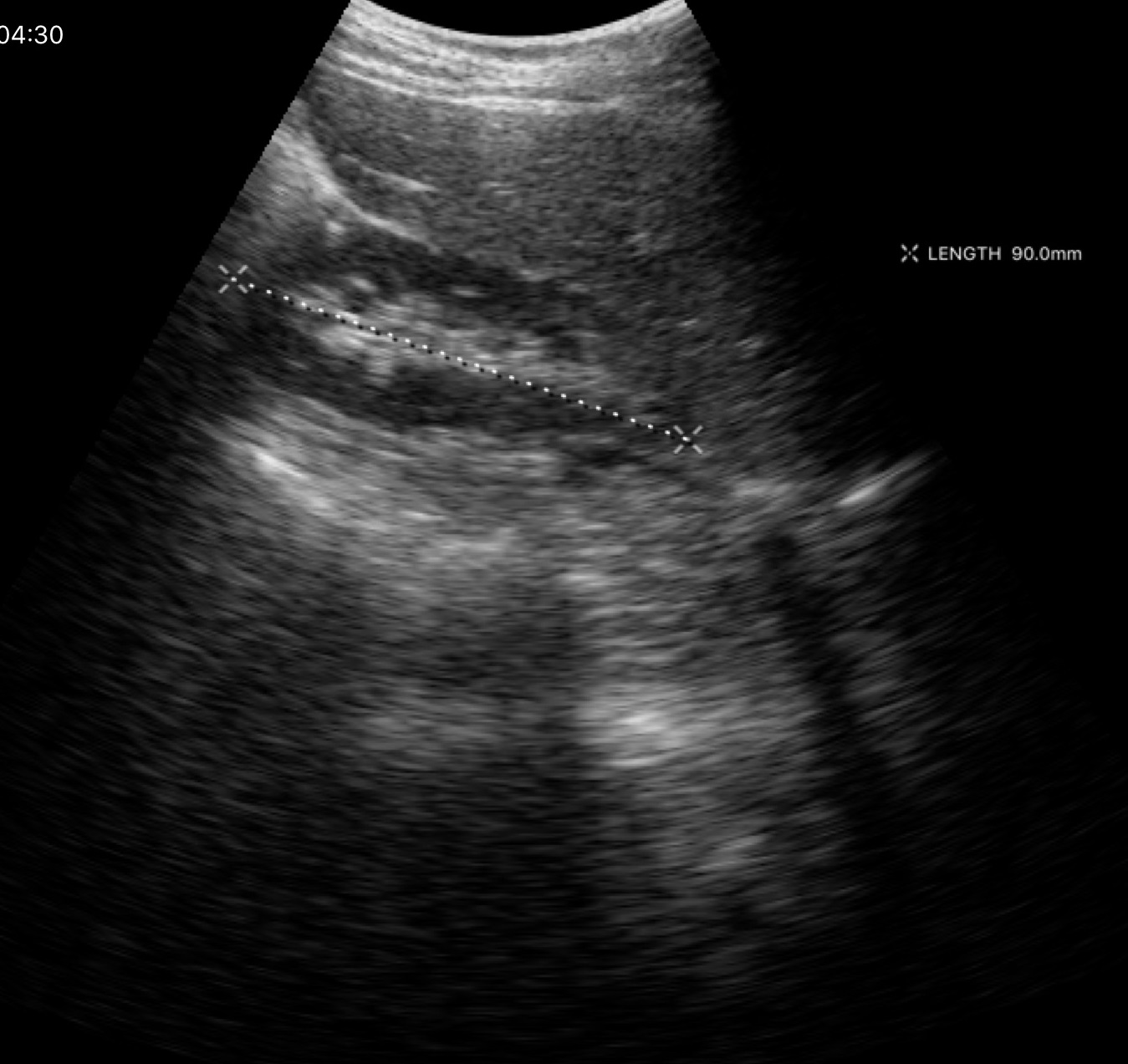
modality: genitourinary ultrasound.